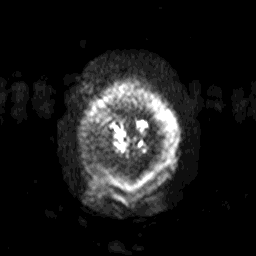
3 Tesla brain MRI. Series: diffusion-weighted imaging with SENSE (WIP). Study: ring-enhancing brain masses.